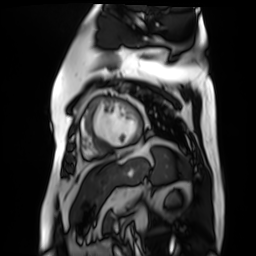
Q: What kind of scan is this?
A: Cardiac MR image of the myocardium.
Subject cohort: cardiac patient.